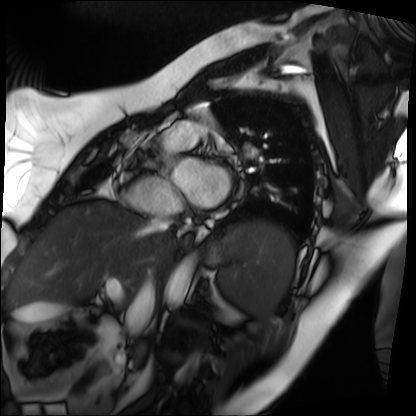
Q: What kind of scan is this?
A: Cardiac MRI.
Subject group: patient.